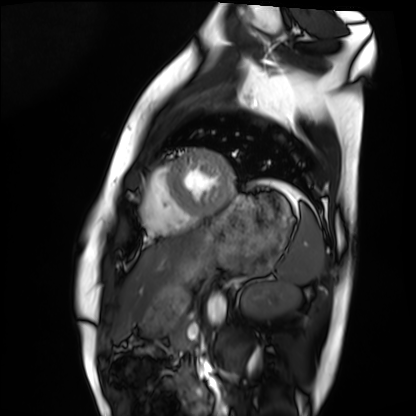
Case:
• modality · cardiac MRI
• subject group · healthy volunteer